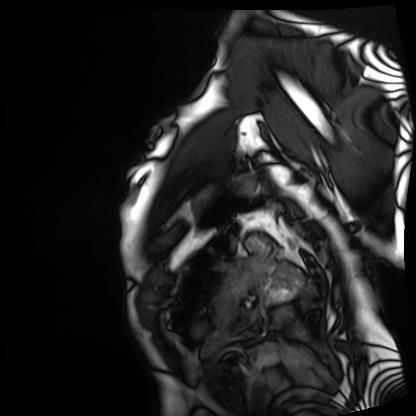
Summary: Cardiac MRI. Subject group: patient.